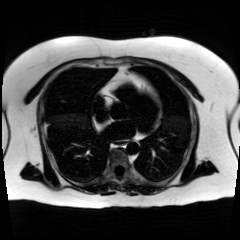
modality = chemical-shift-encoded cardiac MRI